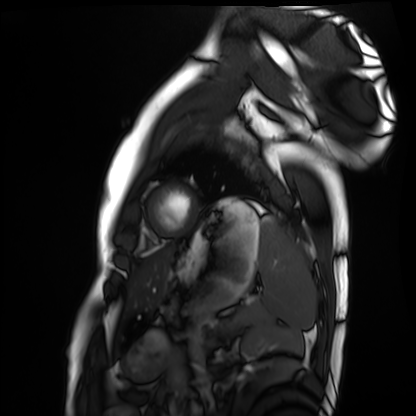
Q: What kind of scan is this?
A: Cardiac MRI.
Subject group: healthy volunteer.